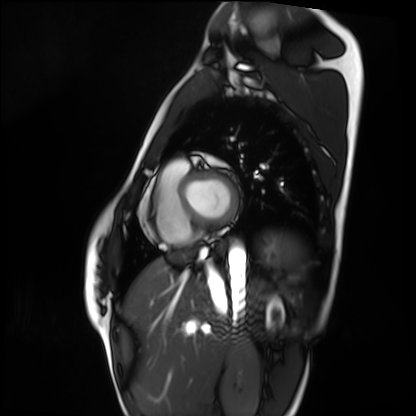
modality = cardiac MRI
subject group = healthy volunteer